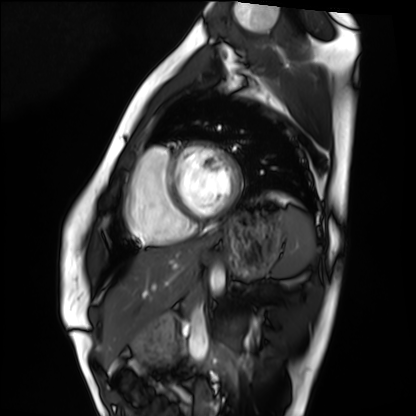
Cardiac MRI. Subject group: healthy volunteer.